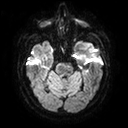
3 Tesla brain MRI. Series: diffusion tensor imaging (medium iso). Study: ring-enhancing brain masses.